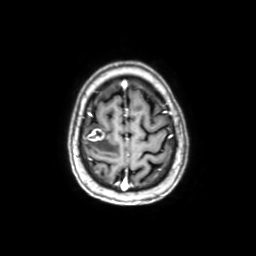
| field | value |
|---|---|
| modality | 3 Tesla brain MRI |
| series | axial with contrast |
| study | ring-enhancing brain masses |